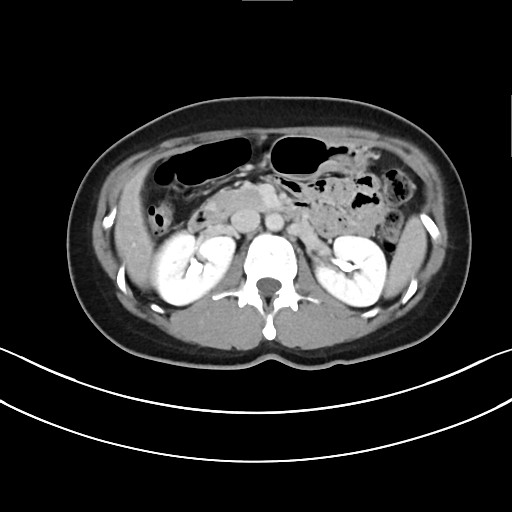
modality = multiphase abdominal CT, liver, delayed phase | patient = female, age 41.